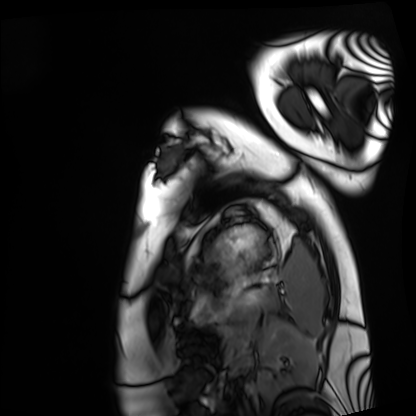
Cardiac MRI.
Subject group: healthy volunteer.